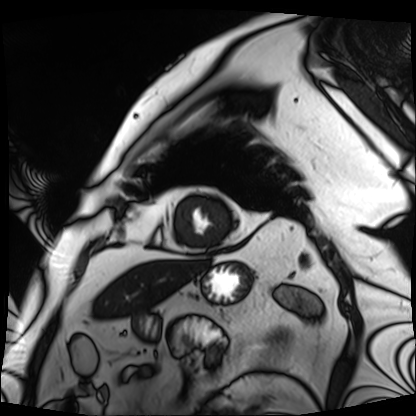
{"modality": "cardiac MRI", "cohort": "patient"}